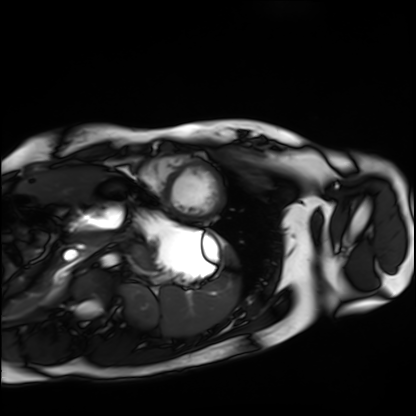
Cardiac MRI.
Subject group: healthy volunteer.